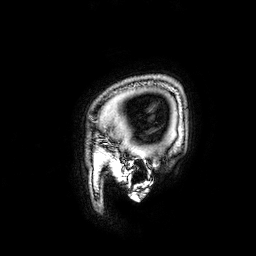
Summary: 3 Tesla brain MRI. Series: 3D T1-weighted. Study: ring-enhancing brain masses.